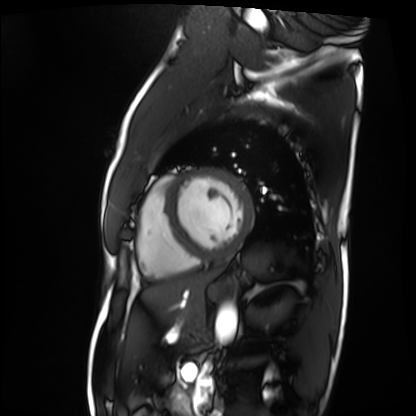
{"modality": "cardiac MRI", "cohort": "patient"}